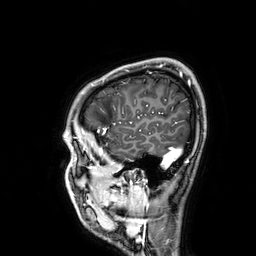
Clinical context:
3 Tesla brain MRI. Series: 3D T1-weighted. Study: ring-enhancing brain masses.